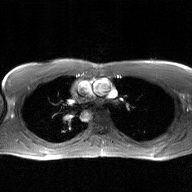
modality = 2D phase-contrast cine MRI of the ascending aorta, GAN super-resolution reconstruction.